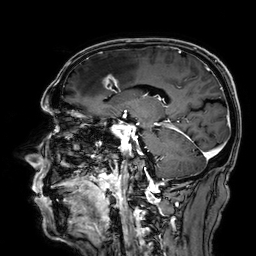
Clinical context: 3 Tesla brain MRI. Series: 3D T1-weighted. Study: ring-enhancing brain masses.